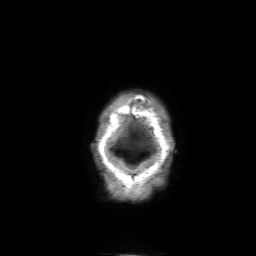
3 Tesla brain MRI. Series: 3D T1-weighted with SENSE. Study: ring-enhancing brain masses.